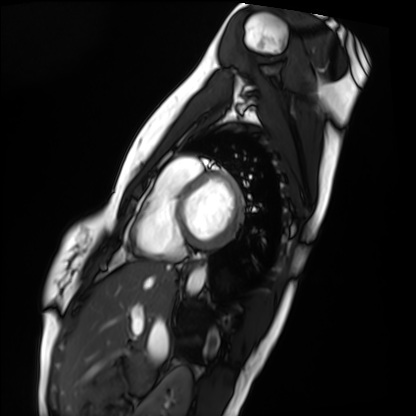
Cardiac MRI.
Subject group: healthy volunteer.